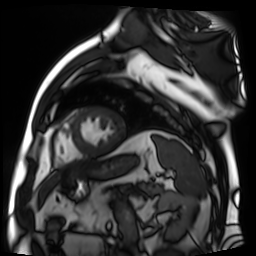
modality: cardiac MR image of the myocardium
cohort: cardiac patient